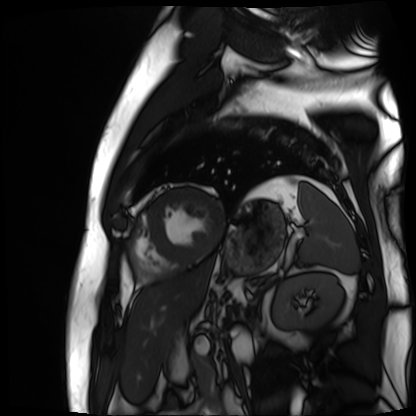
Cardiac MR image of the myocardium. Subject cohort: cardiac patient.